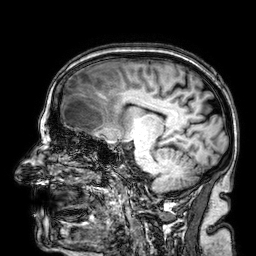
| field | value |
|---|---|
| modality | 3 Tesla brain MRI |
| series | 3D T1-weighted |
| study | ring-enhancing brain masses |